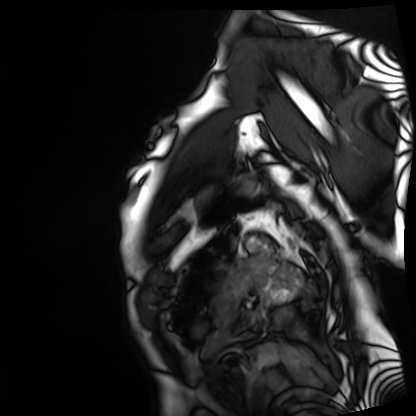
modality — cardiac MRI
subject group — patient